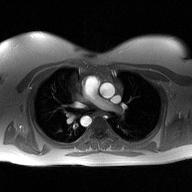
Summary:
2D phase-contrast cine MRI of the ascending aorta, high-resolution GRAPPA acquisition.